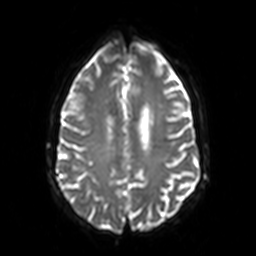
3 Tesla brain MRI. Series: diffusion-weighted imaging. Study: ring-enhancing brain masses.